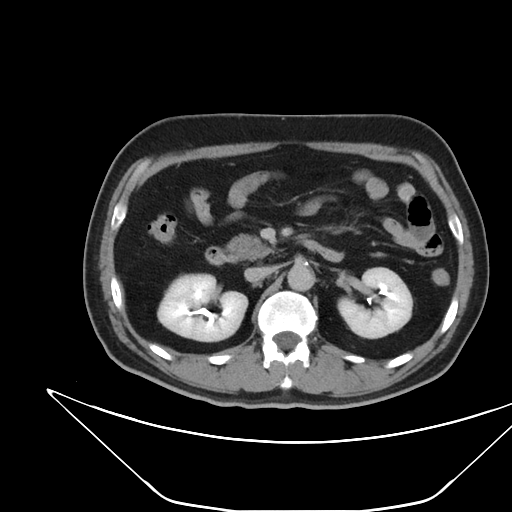
Multiphase abdominal CT, liver, delayed phase. Patient: male, age 52.